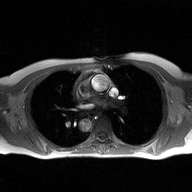
2D phase-contrast cine MRI of the ascending aorta, high-resolution GRAPPA acquisition.